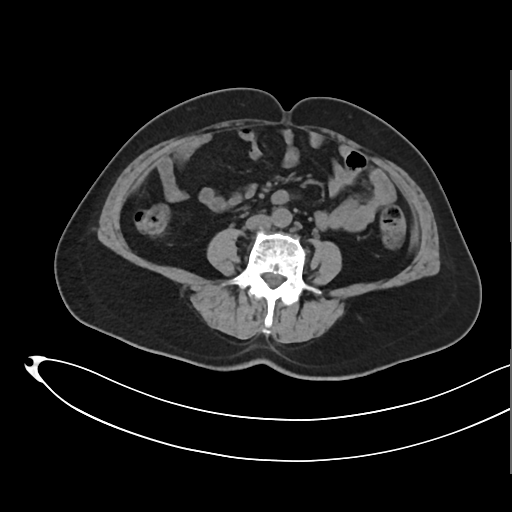
{
  "modality": {
    "type": "multiphase abdominal CT",
    "region": "liver",
    "phase": "non-contrast"
  },
  "patient": {
    "sex": "female",
    "age": 61
  }
}